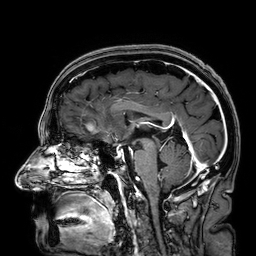
<record>
  <modality>
    <type>brain MRI</type>
    <field_strength>3T</field_strength>
  </modality>
  <series>3D T1-weighted</series>
  <study_topic>ring-enhancing brain masses</study_topic>
</record>